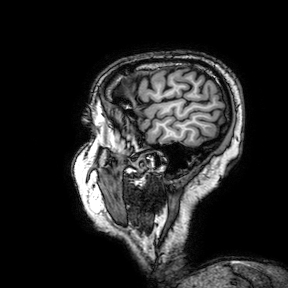
- modality · 3 Tesla brain MRI
- series · 3D T1-weighted turbo field echo with SENSE
- study · ring-enhancing brain masses